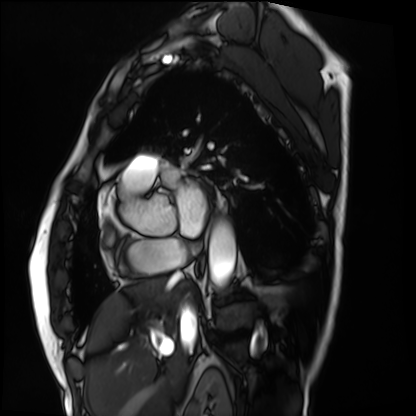
Clinical context:
Cardiac MRI. Subject group: patient.